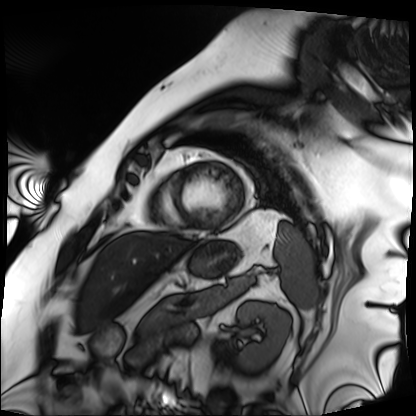
<record>
<modality>cardiac MRI</modality>
<cohort>patient</cohort>
</record>